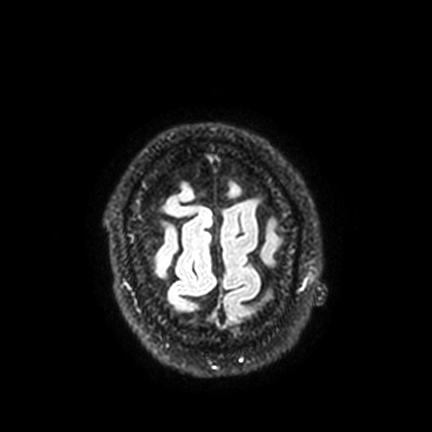
modality = 3 Tesla brain MRI
series = FLAIR VISTA with SENSE
study = ring-enhancing brain masses